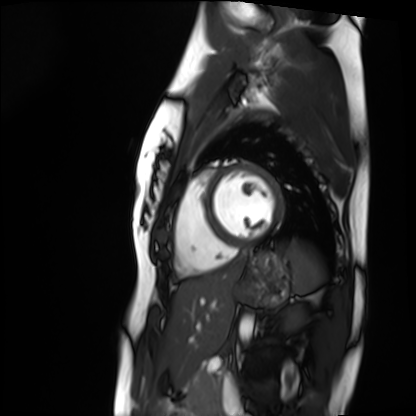
Cardiac MRI.
Subject group: healthy volunteer.